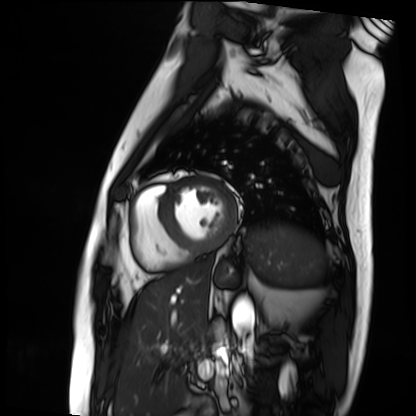
Case:
• modality — cardiac MRI
• subject group — patient